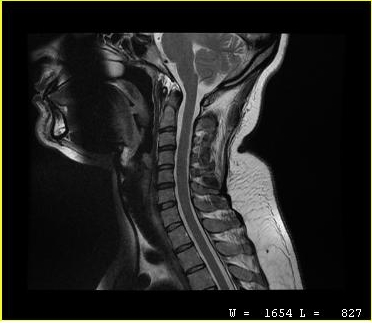
modality — MRI of the cervical spine; study — cervical spondylosis.